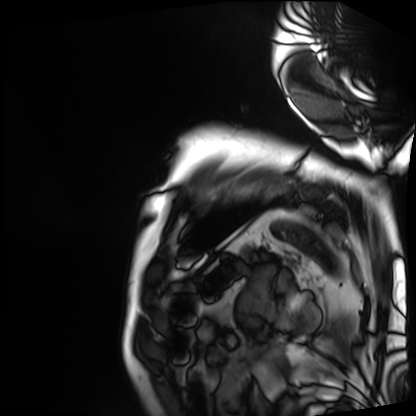
Clinical context: Cardiac MRI. Subject group: patient.